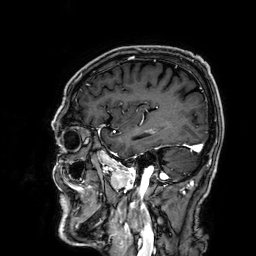
3 Tesla brain MRI. Series: 3D T1-weighted. Study: ring-enhancing brain masses.